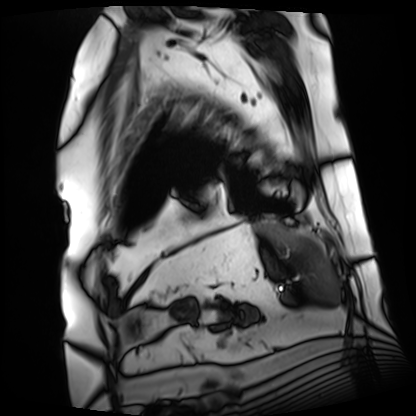
Cardiac MRI.
Subject group: patient.